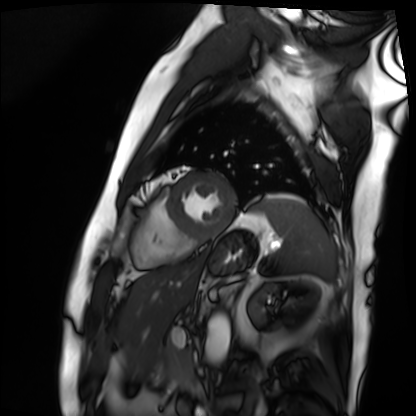
Case summary:
Cardiac MRI. Subject group: patient.